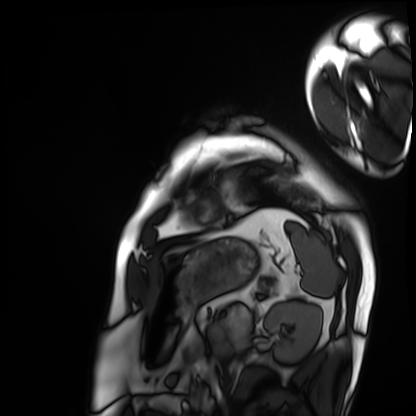
{"modality": "cardiac MRI", "cohort": "patient"}